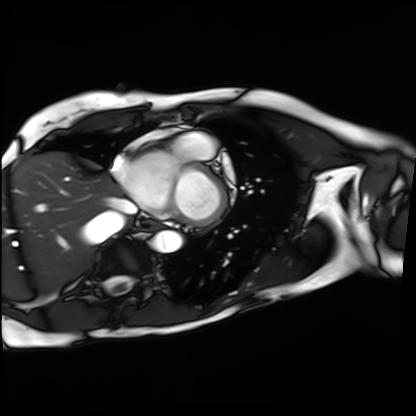
modality: cardiac MRI
subject group: patient